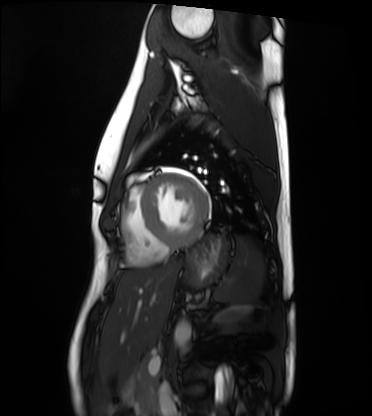
{
  "modality": "cardiac MRI",
  "cohort": "healthy volunteer"
}